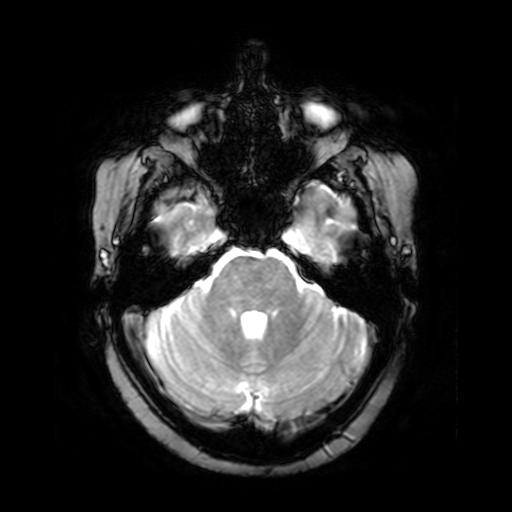
Summary: 3 Tesla brain MRI. Series: T2-weighted fast field echo. Study: ring-enhancing brain masses.